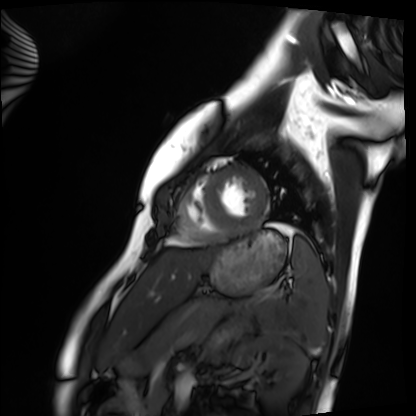
Case:
* modality · cardiac MRI
* subject group · healthy volunteer